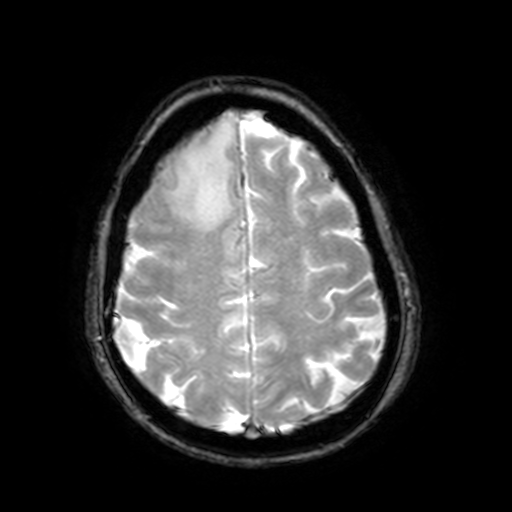
3 Tesla brain MRI.
Series: T2-weighted fast field echo with SENSE.
Study: ring-enhancing brain masses.